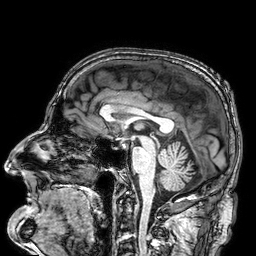
Summary:
3 Tesla brain MRI. Series: 3D T1-weighted. Study: ring-enhancing brain masses.